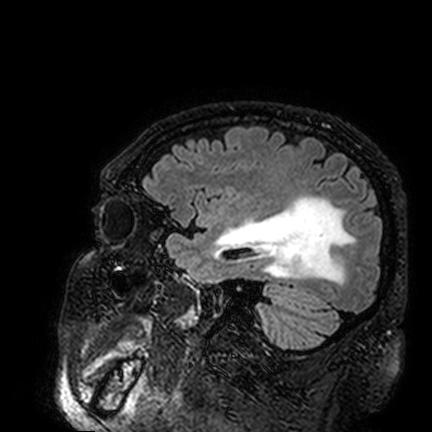
| field | value |
|---|---|
| modality | 3 Tesla brain MRI |
| study | ring-enhancing brain masses |